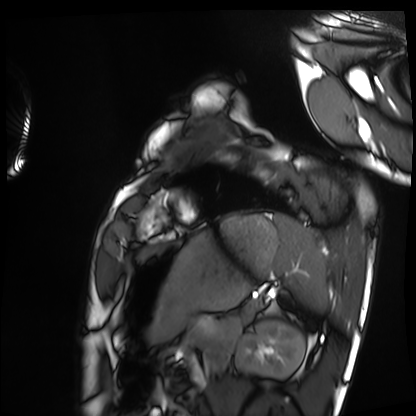
modality: cardiac MRI
cohort: healthy volunteer